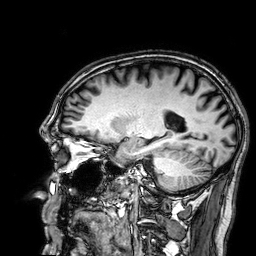
3 Tesla brain MRI. Series: 3D T1-weighted. Study: ring-enhancing brain masses.